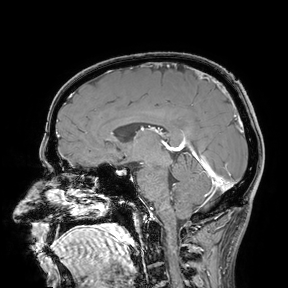
3 Tesla brain MRI.
Study: ring-enhancing brain masses.